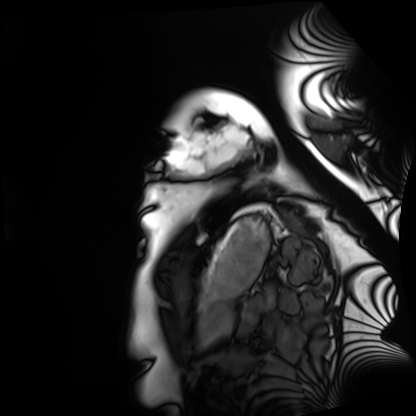
Q: What kind of scan is this?
A: Cardiac MRI.
Subject group: healthy volunteer.